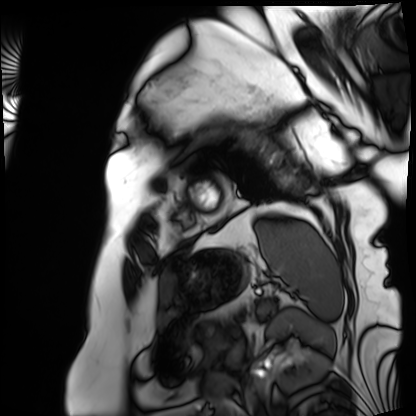
  modality: cardiac MRI
  cohort: patient